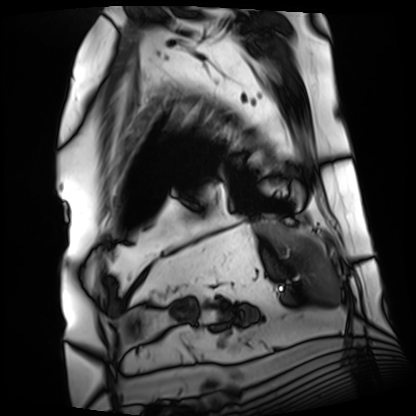
Summary:
Cardiac MRI. Subject group: patient.